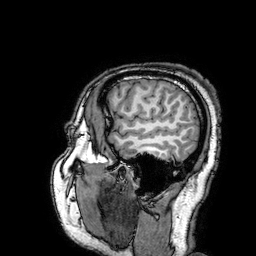
modality — 3 Tesla brain MRI
study — ring-enhancing brain masses